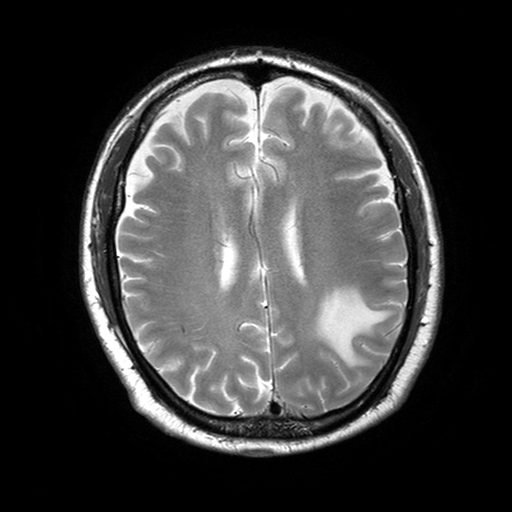
modality: 3 Tesla brain MRI | series: T2-weighted turbo spin echo with SENSE | study: ring-enhancing brain masses.